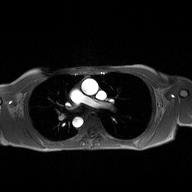
* modality — 2D phase-contrast cine MRI of the ascending aorta